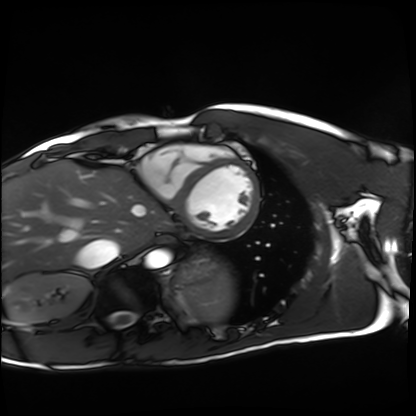
– modality — cardiac MRI
– subject group — healthy volunteer